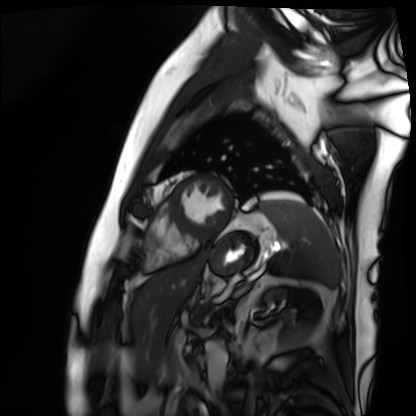
Q: What kind of scan is this?
A: Cardiac MRI.
Subject group: patient.